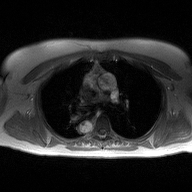
2D phase-contrast cine MRI of the ascending aorta, high-resolution GRAPPA acquisition.